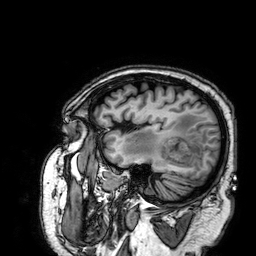
Q: What kind of scan is this?
A: 3 Tesla brain MRI.
Q: Series?
A: 3D T1-weighted.
Study: ring-enhancing brain masses.